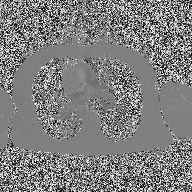
modality: 2D phase-contrast cine MRI of the ascending aorta